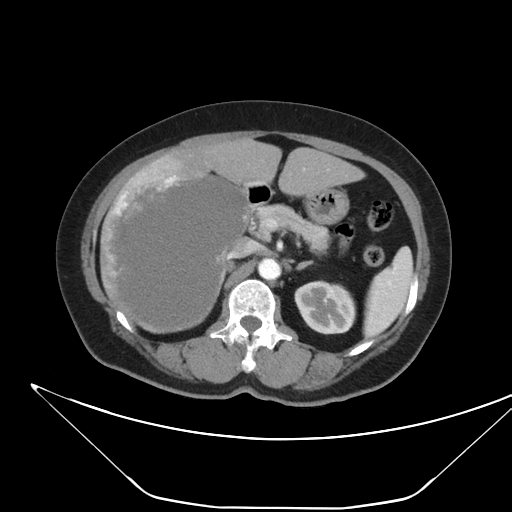
Multiphase abdominal CT, liver, arterial phase. Patient: female, age 62.